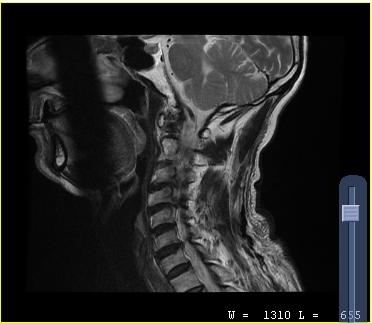
MRI of the cervical spine. Study: cervical spondylosis.